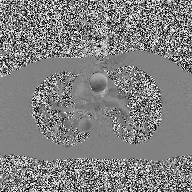
Q: What kind of scan is this?
A: 2D phase-contrast cine MRI of the ascending aorta.